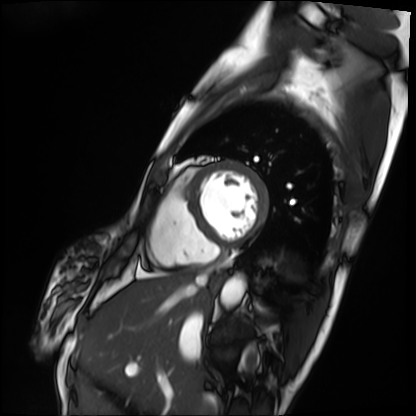
Summary: Cardiac MRI. Subject group: patient.